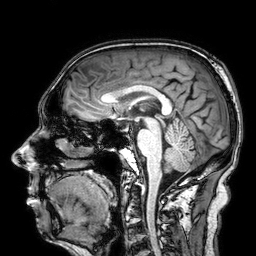
Clinical context: 3 Tesla brain MRI. Series: 3D T1-weighted. Study: ring-enhancing brain masses.